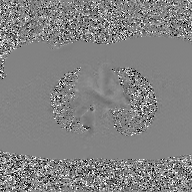
<scan>
<modality>
  <type>2D phase-contrast cine MRI</type>
  <region>ascending aorta</region>
  <reconstruction>GAN super-resolution reconstruction</reconstruction>
</modality>
</scan>